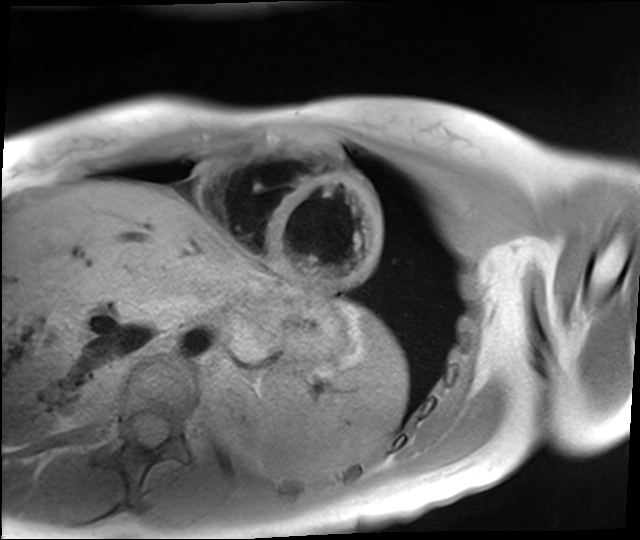
Q: What kind of scan is this?
A: Cardiac MR image of the myocardium.
Subject cohort: healthy volunteer.